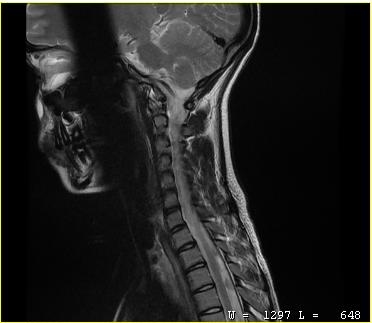
MRI of the cervical spine. Study: cervical spondylosis.